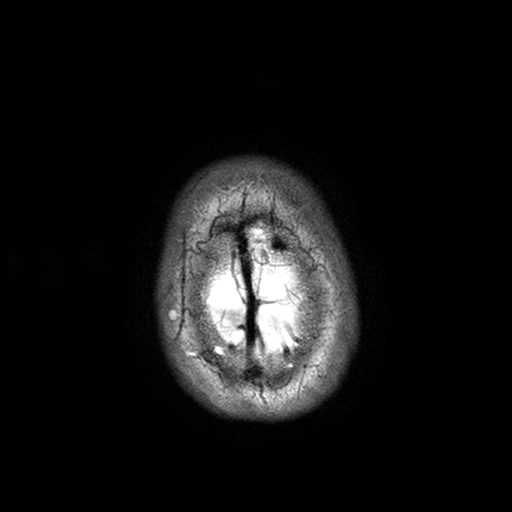
Q: What kind of scan is this?
A: 3 Tesla brain MRI.
Study: ring-enhancing brain masses.